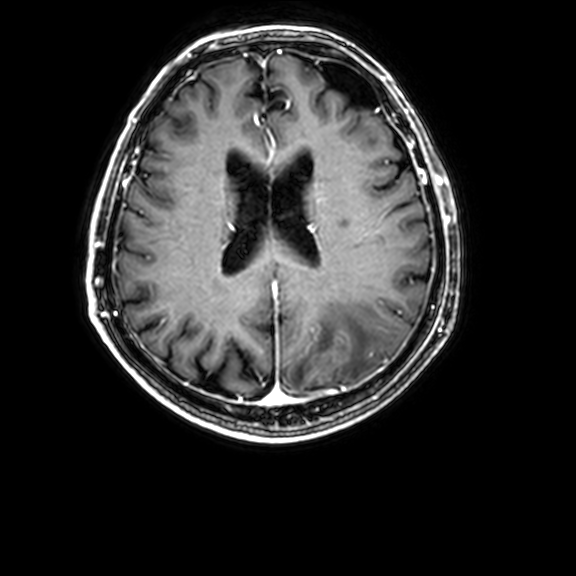
Case summary: 3 Tesla brain MRI. Series: 3D T1-weighted with CLEAR. Study: ring-enhancing brain masses.